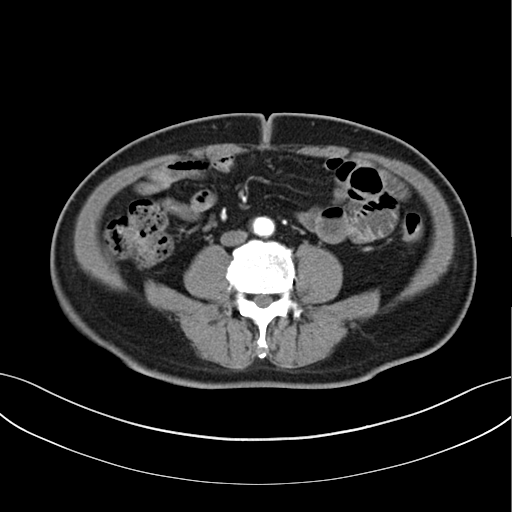
modality = multiphase abdominal CT, liver, arterial phase | patient = male, age 61.